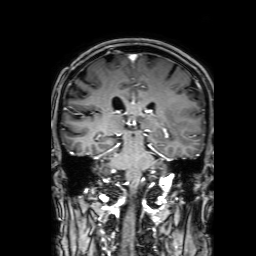
3 Tesla brain MRI.
Series: 3D T1-weighted with SENSE.
Study: ring-enhancing brain masses.